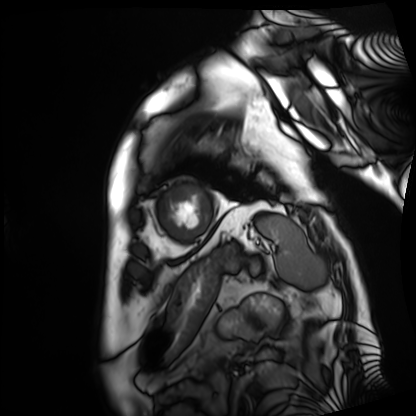
{"modality": "cardiac MRI", "cohort": "patient"}